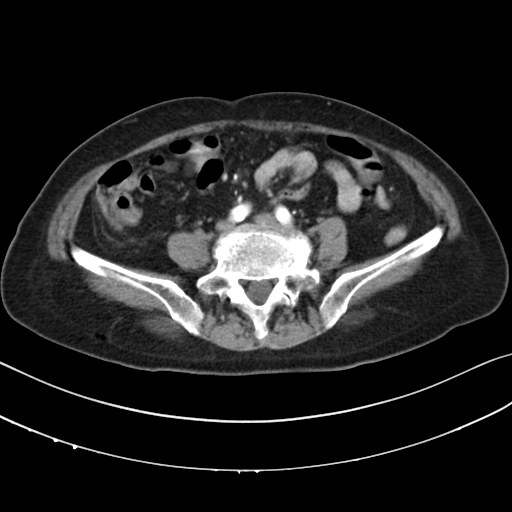
modality — multiphase abdominal CT, liver, arterial phase; patient — female, age 75.